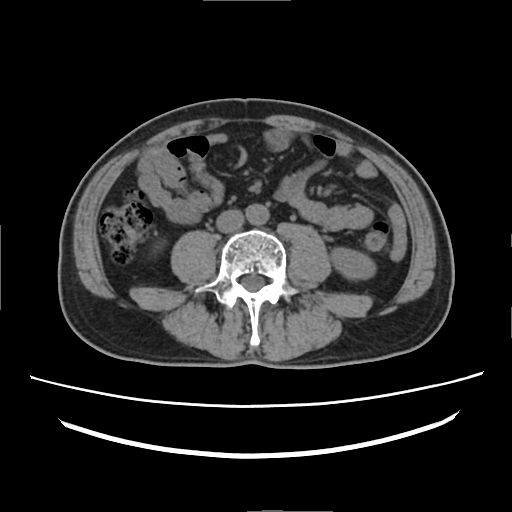
Multiphase abdominal CT, liver, non-contrast phase.
Patient: male, age 52.
History: prior chemotherapy.